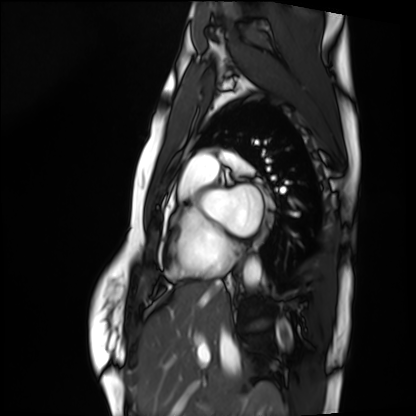
  modality: cardiac MRI
  cohort: healthy volunteer